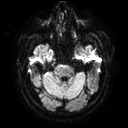
  modality:
    type: brain MRI
    field_strength: 3T
  series: diffusion tensor imaging (medium iso)
  study_topic: ring-enhancing brain masses